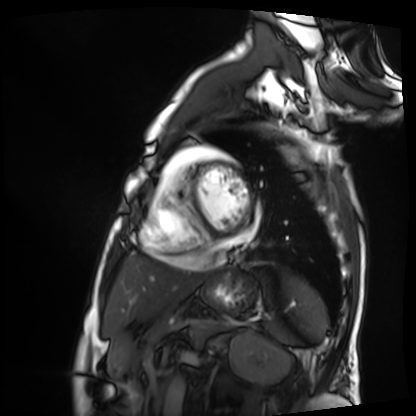
Case summary: Cardiac MRI. Subject group: patient.